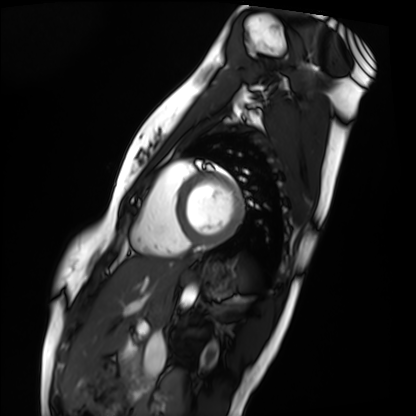
Cardiac MRI. Subject group: healthy volunteer.